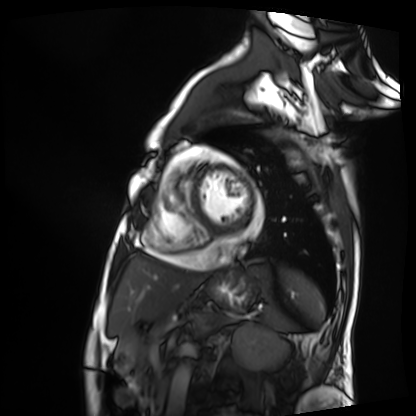
modality: cardiac MRI; subject group: patient.